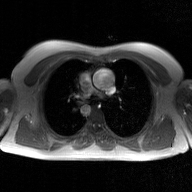
2D phase-contrast cine MRI of the ascending aorta, GAN super-resolution reconstruction.